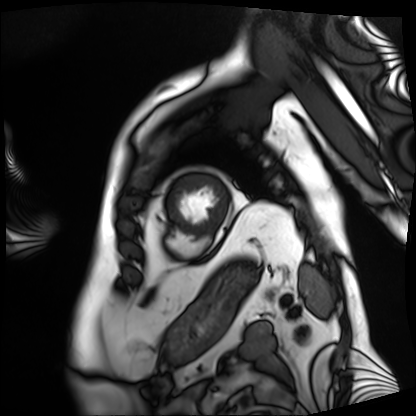
Cardiac MRI. Subject group: patient.